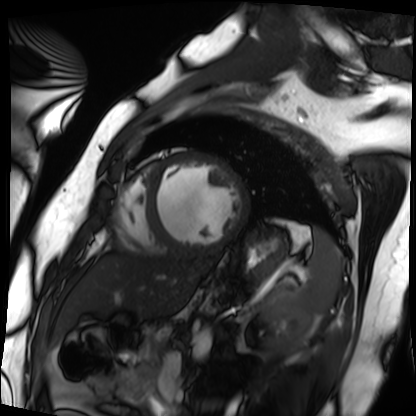
modality: cardiac MRI
subject group: patient